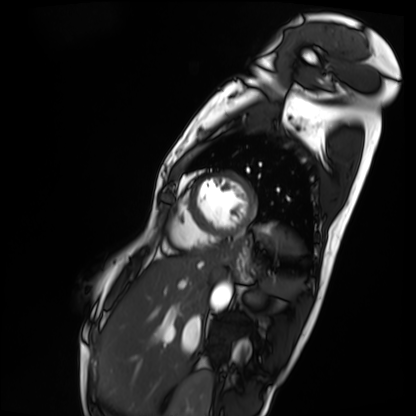
Cardiac MRI.
Subject group: patient.